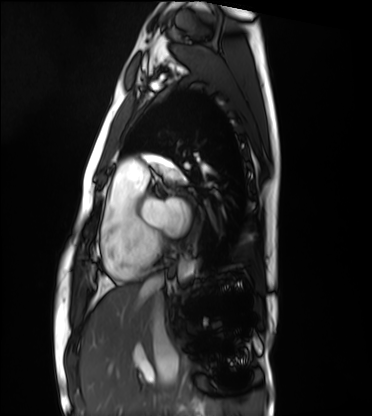
Cardiac MRI. Subject group: healthy volunteer.